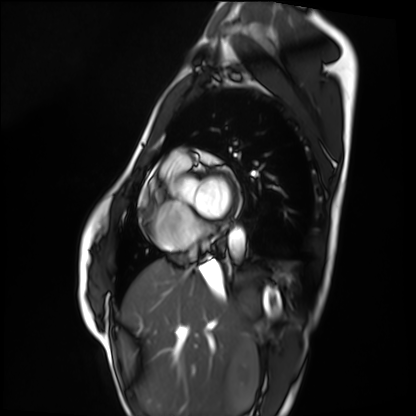
{"modality": "cardiac MRI", "cohort": "healthy volunteer"}